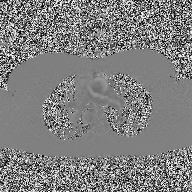
2D phase-contrast cine MRI of the ascending aorta, high-resolution GRAPPA acquisition.